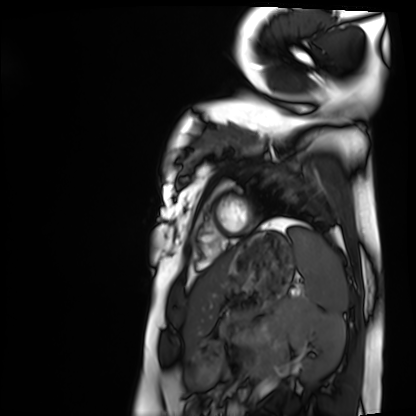
Cardiac MRI. Subject group: healthy volunteer.